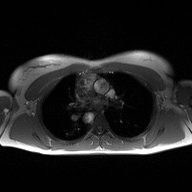
<study>
<modality>
  <type>2D phase-contrast cine MRI</type>
  <region>ascending aorta</region>
  <reconstruction>high-resolution GRAPPA acquisition</reconstruction>
</modality>
</study>